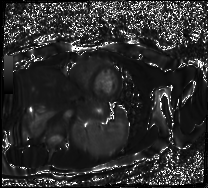
<record>
<modality>cardiac MR image of the myocardium</modality>
<cohort>healthy volunteer</cohort>
</record>